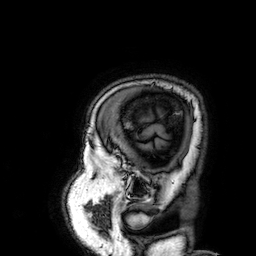
Q: What kind of scan is this?
A: 3 Tesla brain MRI.
Q: Series?
A: 3D T1-weighted.
Study: ring-enhancing brain masses.